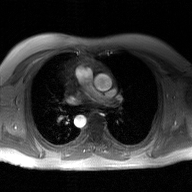
2D phase-contrast cine MRI of the ascending aorta, GAN super-resolution reconstruction.